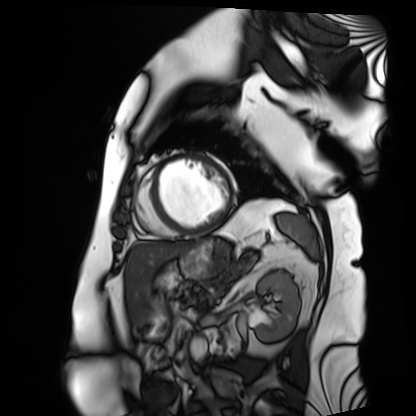
Case summary:
Cardiac MRI. Subject group: patient.